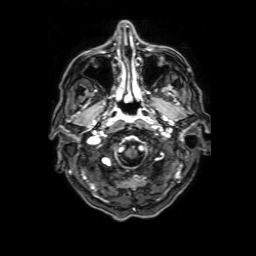
3 Tesla brain MRI. Series: 3D T1-weighted with SENSE. Study: ring-enhancing brain masses.